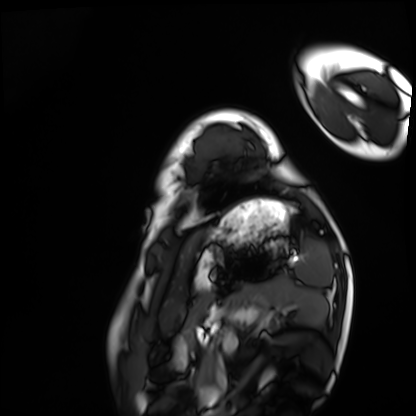
Q: What kind of scan is this?
A: Cardiac MRI.
Subject group: healthy volunteer.